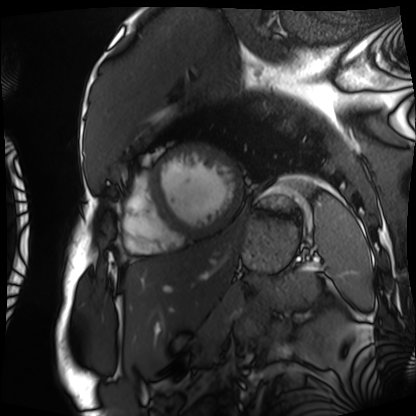
Summary: Cardiac MRI. Subject group: patient.